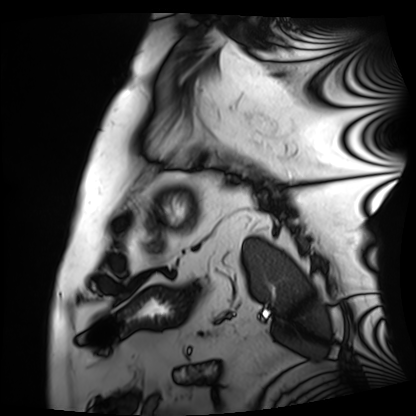
Clinical context:
Cardiac MRI. Subject group: patient.